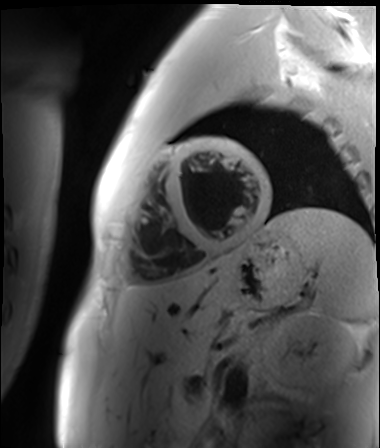
Cardiac MR image of the myocardium. Subject cohort: healthy volunteer.